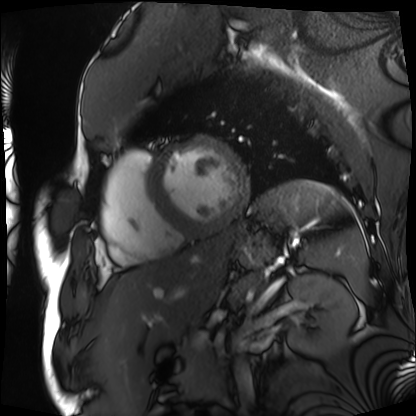
Cardiac MRI.
Subject group: patient.